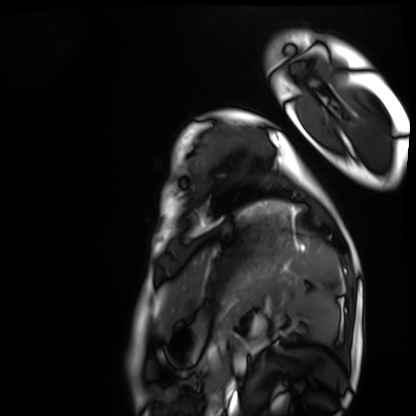
Cardiac MRI.
Subject group: healthy volunteer.